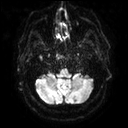
3 Tesla brain MRI. Series: diffusion tensor imaging (medium iso). Study: ring-enhancing brain masses.